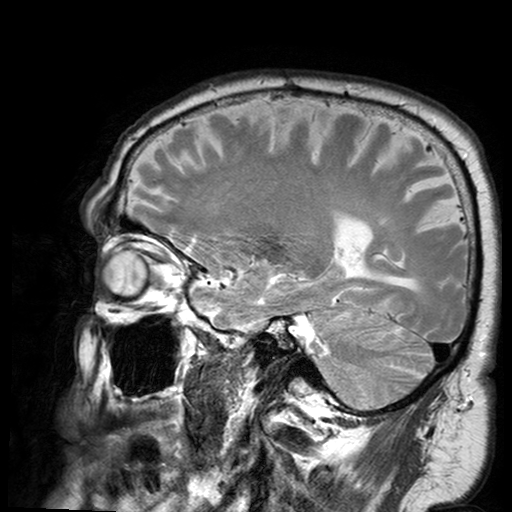
Clinical context: 3 Tesla brain MRI. Series: T2-weighted turbo spin echo with SENSE. Study: ring-enhancing brain masses.